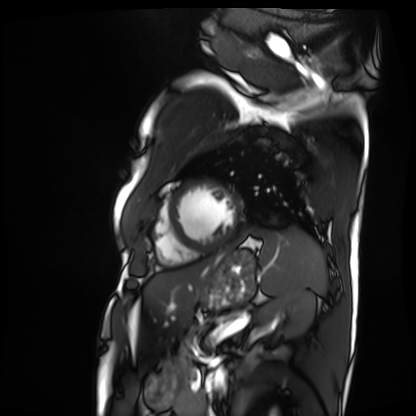
• modality · cardiac MRI
• subject group · patient